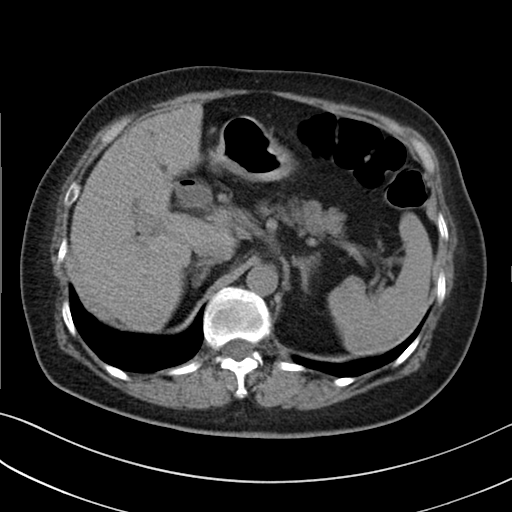
Multiphase abdominal CT, liver, non-contrast phase.
Patient: female, age 71.
History: prior chemotherapy.